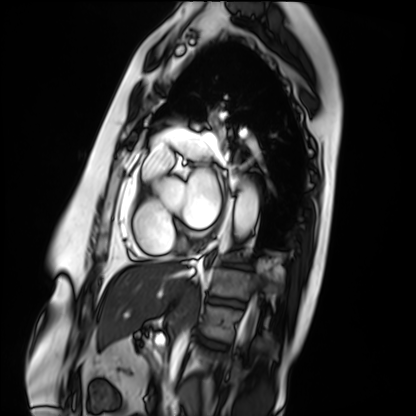
Cardiac MRI. Subject group: patient.